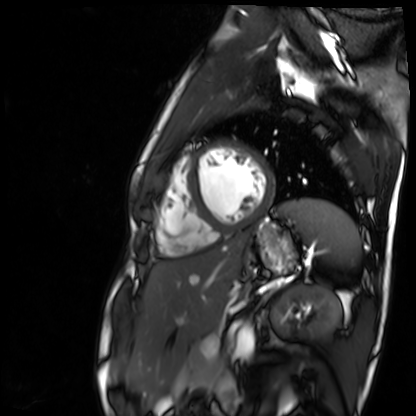
Clinical context: Cardiac MR image of the myocardium. Subject cohort: healthy volunteer.